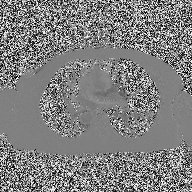
Q: What kind of scan is this?
A: 2D phase-contrast cine MRI of the ascending aorta.